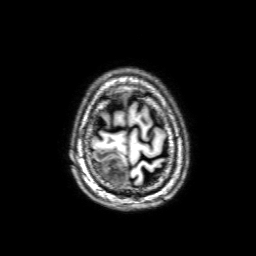
Summary:
3 Tesla brain MRI. Series: 3D T1-weighted with SENSE. Study: ring-enhancing brain masses.